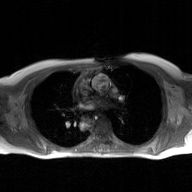
2D phase-contrast cine MRI of the ascending aorta, GAN super-resolution reconstruction.